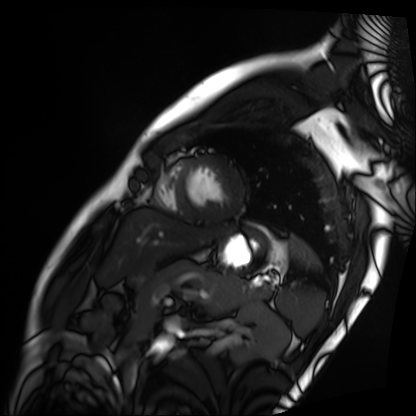
Cardiac MRI.
Subject group: patient.